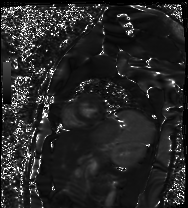
Cardiac MR image of the myocardium.
Subject cohort: healthy volunteer.